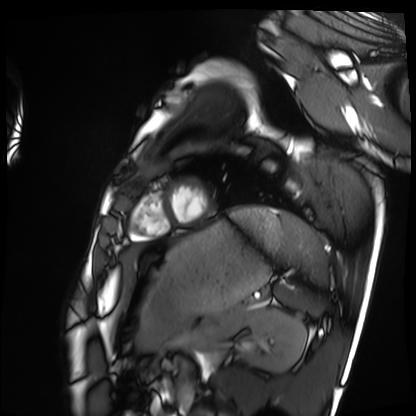
– modality · cardiac MRI
– subject group · healthy volunteer